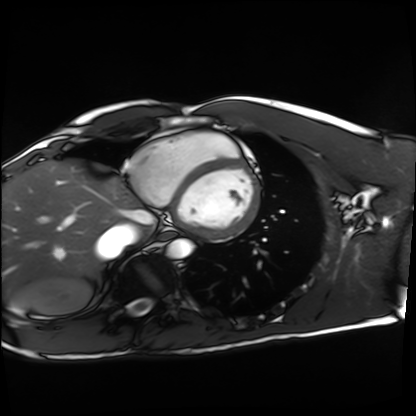
Case:
– modality: cardiac MRI
– subject group: healthy volunteer